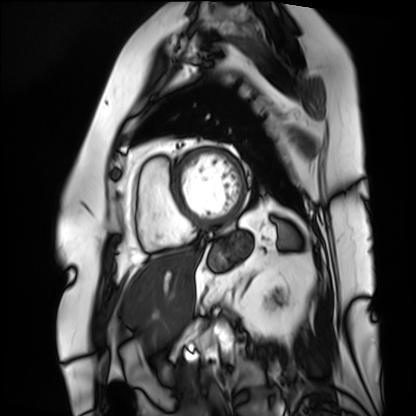
Case summary:
Cardiac MRI. Subject group: patient.